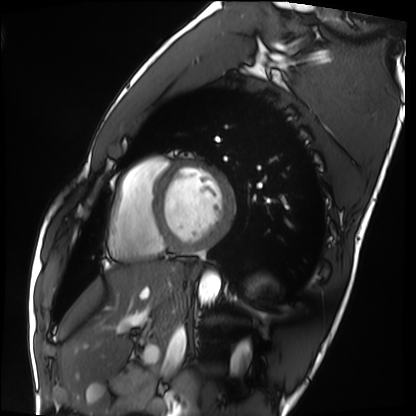
Summary:
Cardiac MRI. Subject group: healthy volunteer.